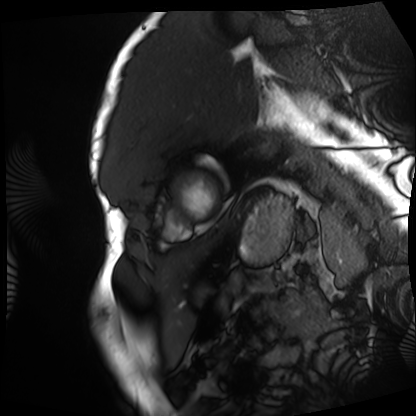
- modality: cardiac MRI
- subject group: patient